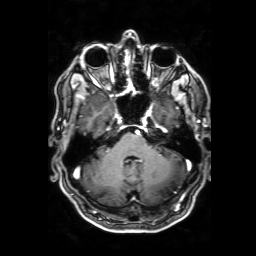
– modality · 3 Tesla brain MRI
– series · 3D T1-weighted with SENSE
– study · ring-enhancing brain masses